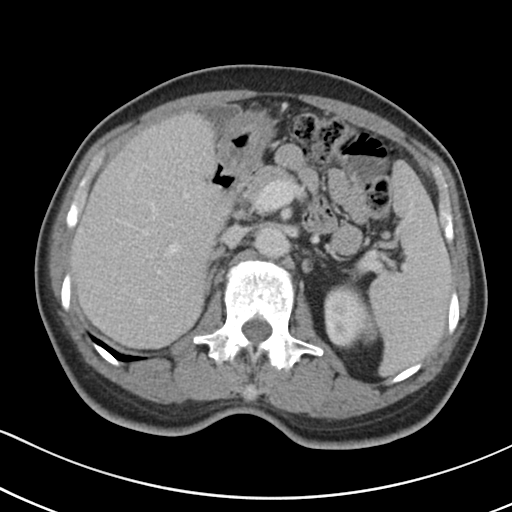
<case>
<modality>
  <type>multiphase abdominal CT</type>
  <region>liver</region>
  <phase>portal venous</phase>
</modality>
<patient>
  <sex>male</sex>
  <age>56</age>
</patient>
<history>cirrhosis, viral hepatitis</history>
</case>